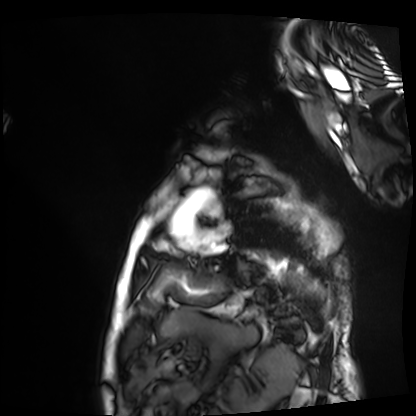
Cardiac MRI. Subject group: patient.